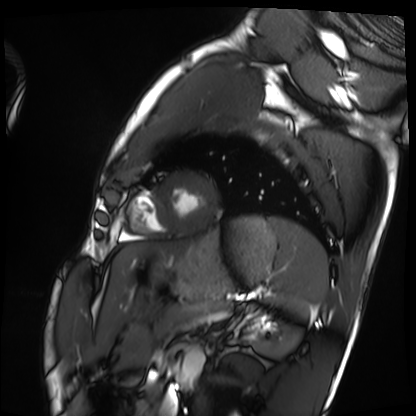
Clinical context: Cardiac MRI. Subject group: healthy volunteer.